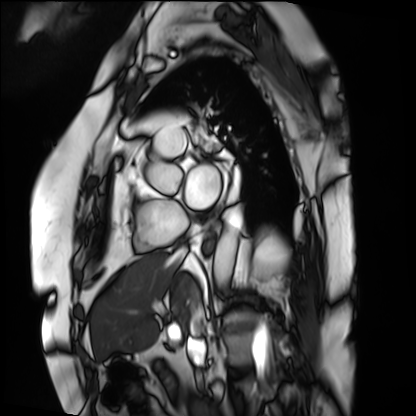
• modality · cardiac MRI
• subject group · patient